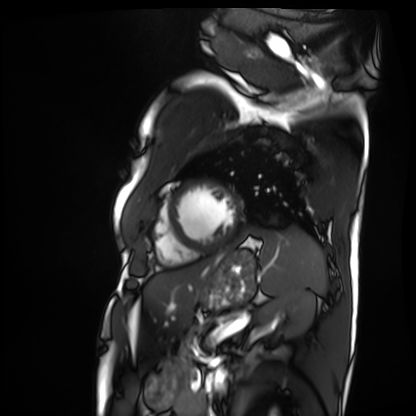
| field | value |
|---|---|
| modality | cardiac MRI |
| subject group | patient |